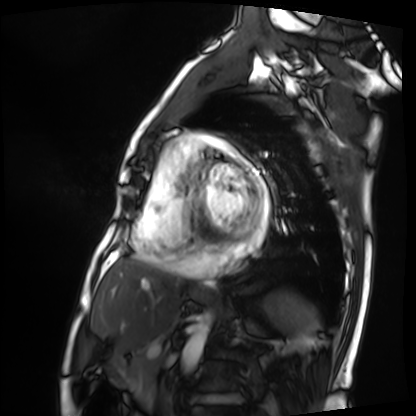
Clinical context: Cardiac MRI. Subject group: patient.